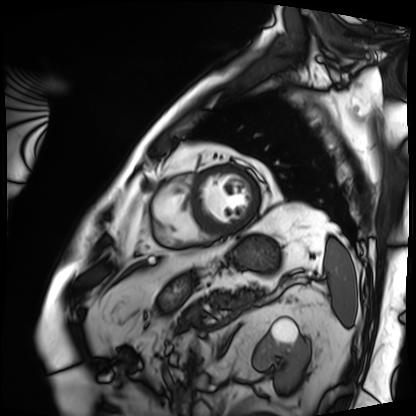
• modality · cardiac MRI
• subject group · patient